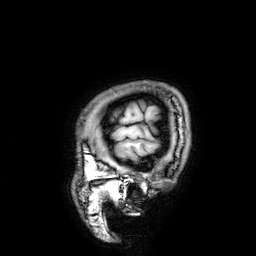
– modality — 3 Tesla brain MRI
– series — 3D T1-weighted
– study — ring-enhancing brain masses